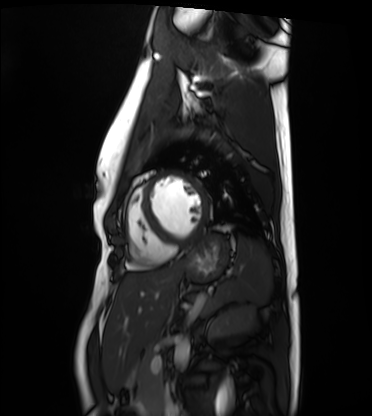
<case>
  <modality>cardiac MRI</modality>
  <cohort>healthy volunteer</cohort>
</case>